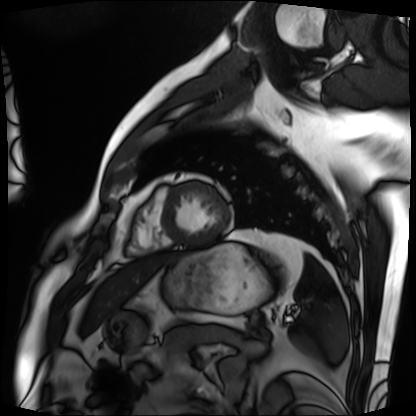
Case summary:
Cardiac MRI. Subject group: patient.